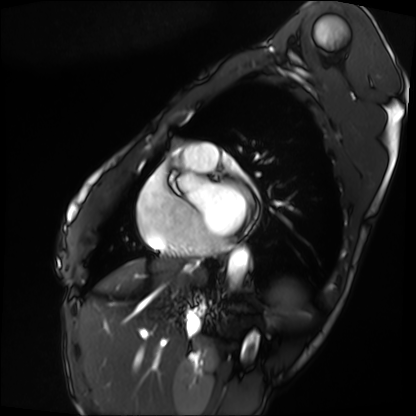
| field | value |
|---|---|
| modality | cardiac MRI |
| subject group | patient |